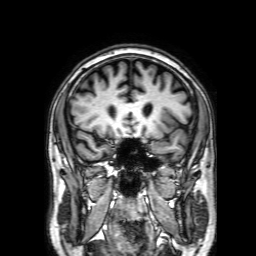
modality = 3 Tesla brain MRI
series = 3D T1-weighted with SENSE
study = ring-enhancing brain masses